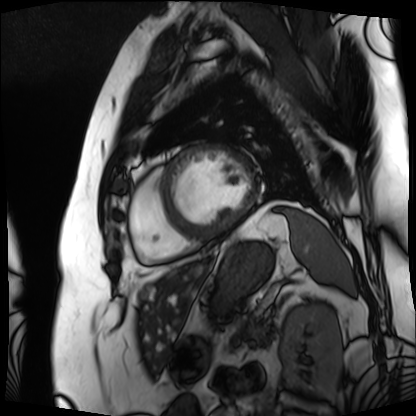
– modality: cardiac MRI
– subject group: patient